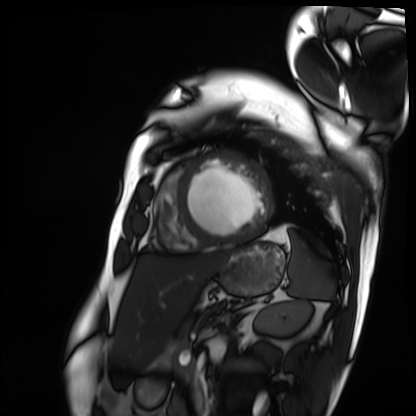
modality: cardiac MRI; subject group: patient.